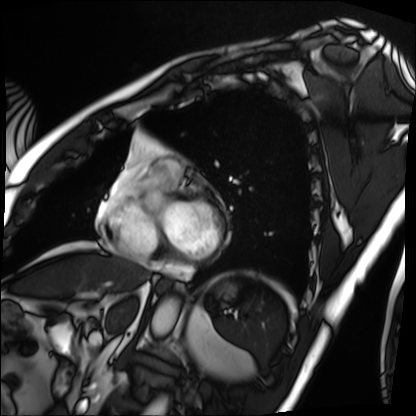
Summary:
Cardiac MRI. Subject group: patient.